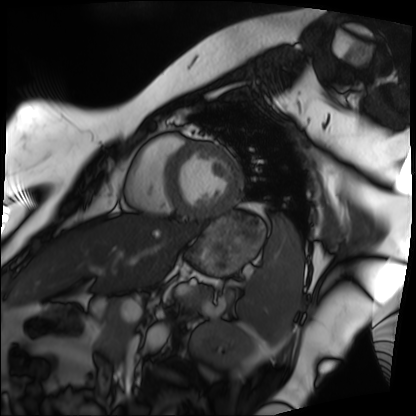
Cardiac MRI. Subject group: patient.